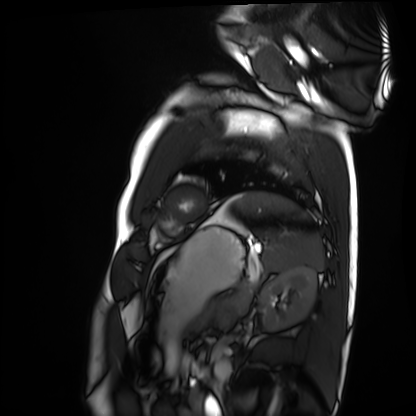
- modality — cardiac MRI
- subject group — healthy volunteer